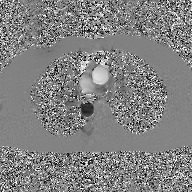
2D phase-contrast cine MRI of the ascending aorta, GAN super-resolution reconstruction.